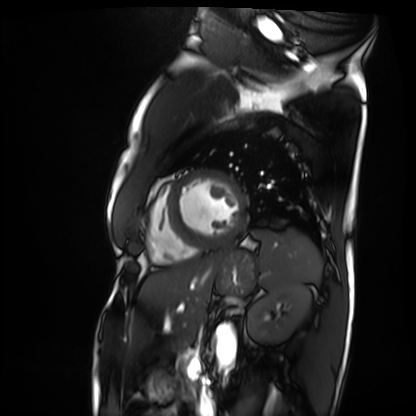
modality: cardiac MRI
subject group: patient